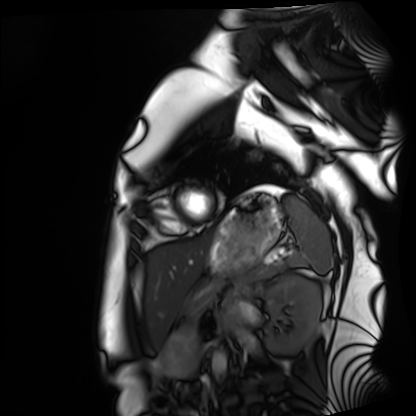
modality = cardiac MRI; subject group = healthy volunteer.